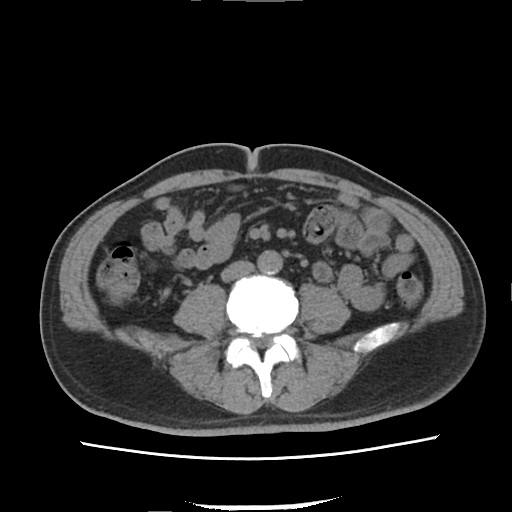
Q: What kind of scan is this?
A: Multiphase abdominal CT, liver, non-contrast phase.
Q: Patient?
A: Male, age 52.
Q: History?
A: Viral hepatitis.